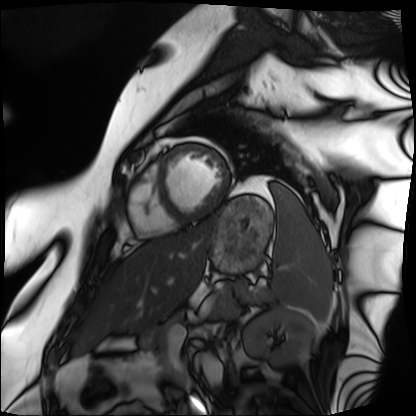
  modality: cardiac MRI
  cohort: patient